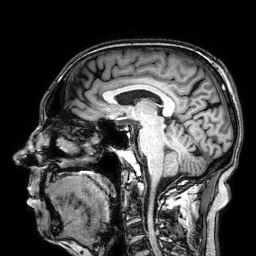
3 Tesla brain MRI. Series: 3D T1-weighted. Study: ring-enhancing brain masses.